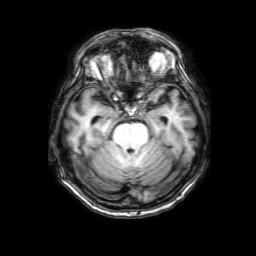
Summary: 3 Tesla brain MRI. Series: 3D T1-weighted with SENSE. Study: ring-enhancing brain masses.